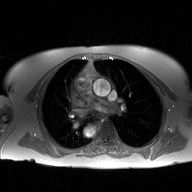
modality: 2D phase-contrast cine MRI of the ascending aorta.